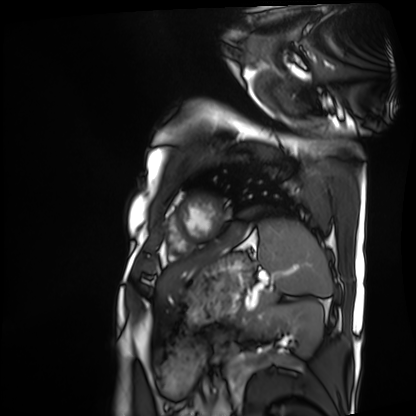
| field | value |
|---|---|
| modality | cardiac MRI |
| subject group | patient |